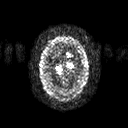
Q: What kind of scan is this?
A: 3 Tesla brain MRI.
Q: Series?
A: Diffusion tensor imaging (medium iso).
Study: ring-enhancing brain masses.